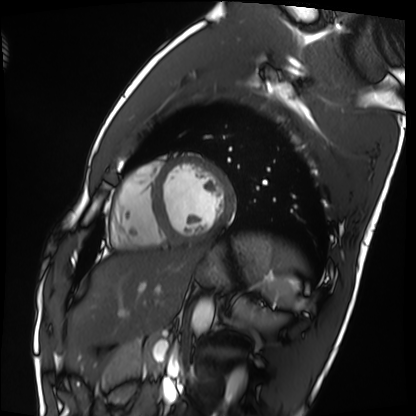
modality: cardiac MRI | subject group: healthy volunteer.